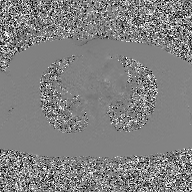
Summary: 2D phase-contrast cine MRI of the ascending aorta, GAN super-resolution reconstruction.